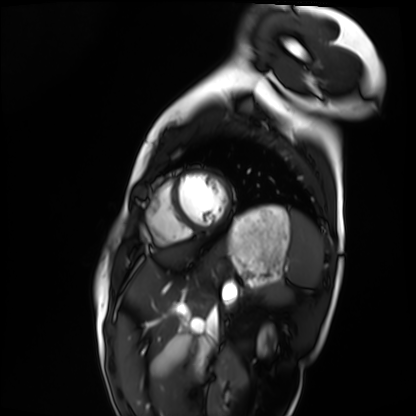
Cardiac MRI.
Subject group: healthy volunteer.